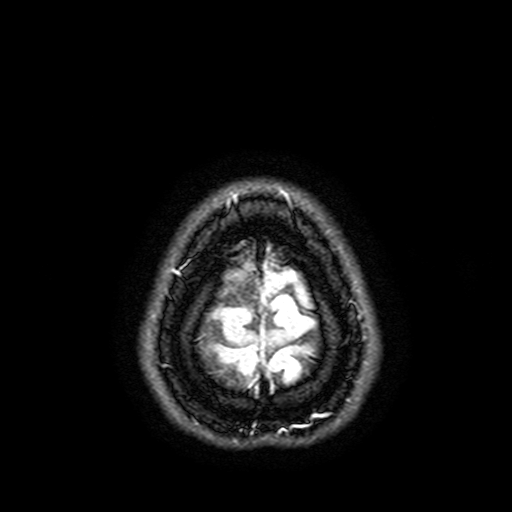
Case summary: 3 Tesla brain MRI. Series: FLAIR with SPAIR, 3 mm. Study: ring-enhancing brain masses.